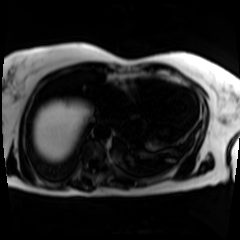
{"modality": "chemical-shift-encoded cardiac MRI"}